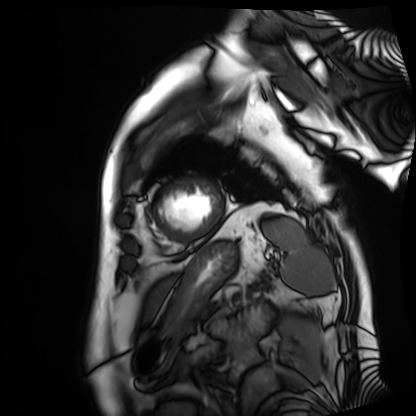
Cardiac MRI. Subject group: patient.